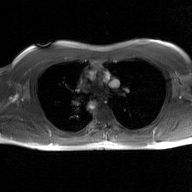
Summary: 2D phase-contrast cine MRI of the ascending aorta, GAN super-resolution reconstruction.